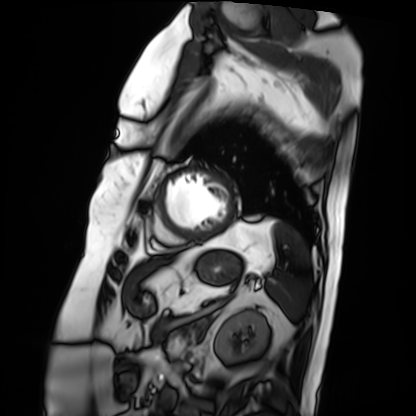
Cardiac MRI. Subject group: patient.